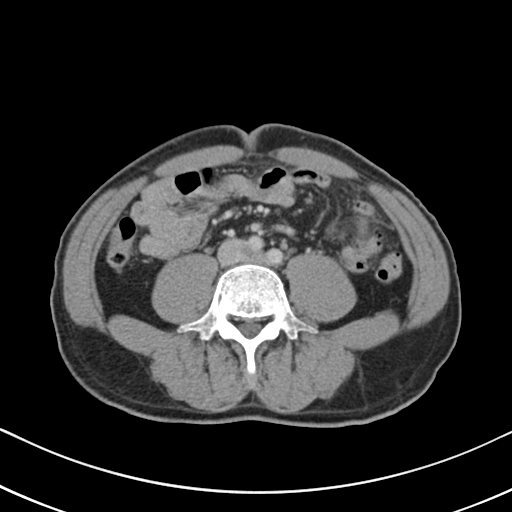
modality: multiphase abdominal CT, liver, portal venous phase; patient: male, age 57.